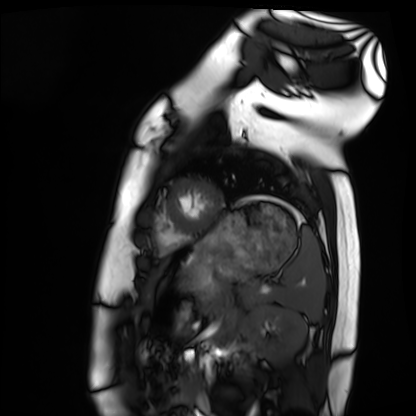
Clinical context: Cardiac MRI. Subject group: healthy volunteer.